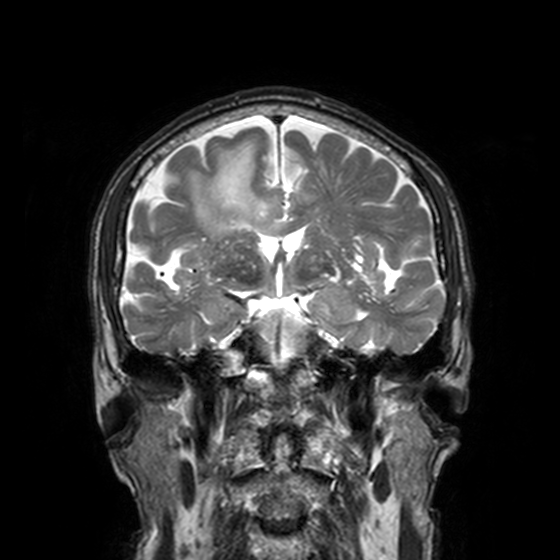
Q: What kind of scan is this?
A: 3 Tesla brain MRI.
Q: Series?
A: T2-weighted turbo spin echo, 3 mm.
Study: ring-enhancing brain masses.